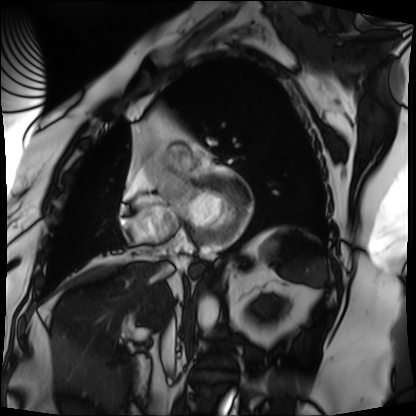
modality = cardiac MRI
subject group = patient